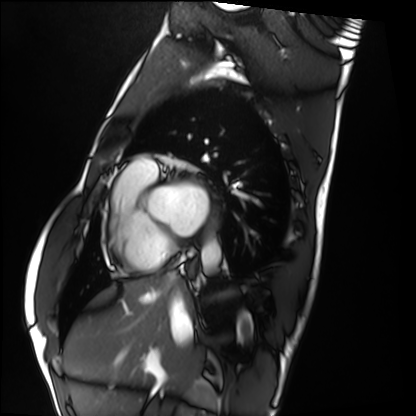
Cardiac MRI.
Subject group: healthy volunteer.